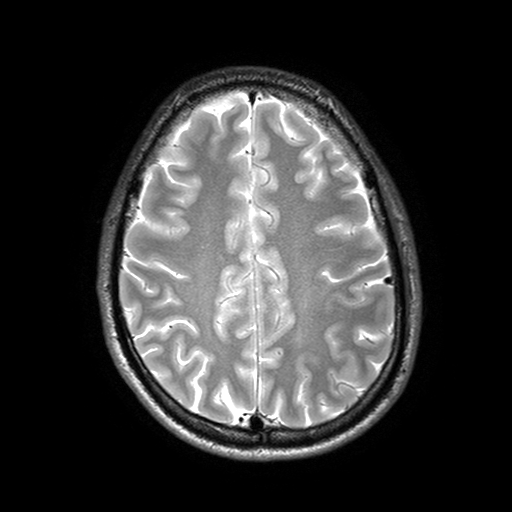
modality = 3 Tesla brain MRI; series = T2-weighted turbo spin echo with SENSE; study = ring-enhancing brain masses.